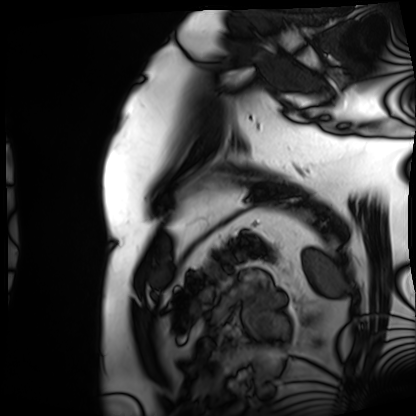
Clinical context:
Cardiac MRI. Subject group: patient.